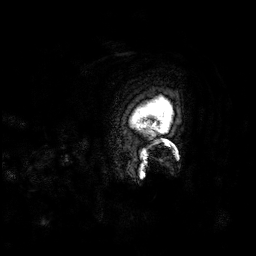
{"modality": {"type": "brain MRI", "field_strength": "3T"}, "series": "3D T1-weighted", "study_topic": "ring-enhancing brain masses"}